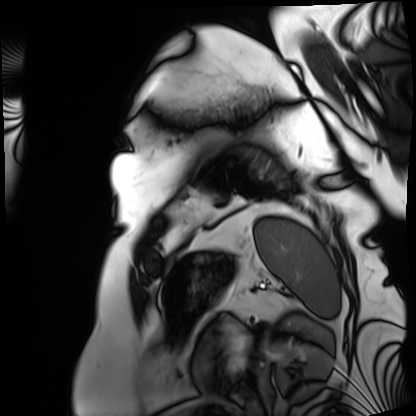
Cardiac MRI. Subject group: patient.